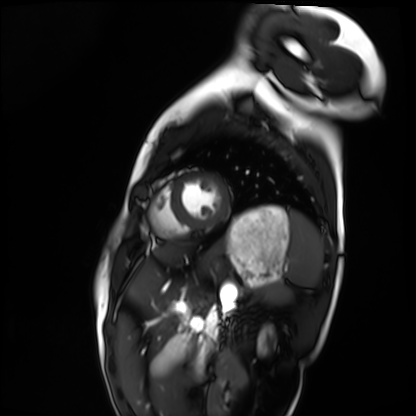
Summary: Cardiac MRI. Subject group: healthy volunteer.